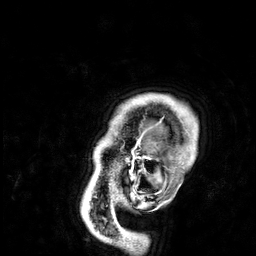
3 Tesla brain MRI.
Series: 3D T1-weighted.
Study: ring-enhancing brain masses.